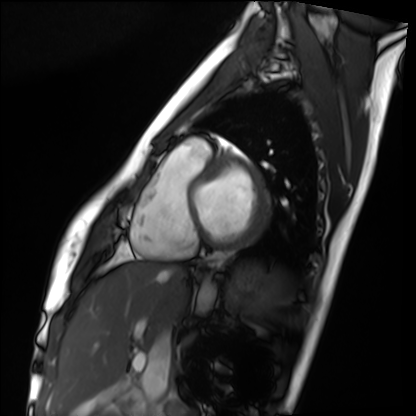
Case summary:
Cardiac MRI. Subject group: healthy volunteer.